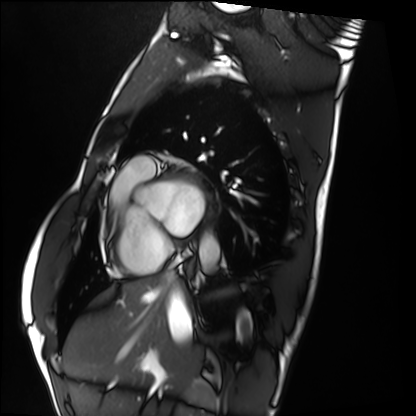
Summary:
Cardiac MRI. Subject group: healthy volunteer.